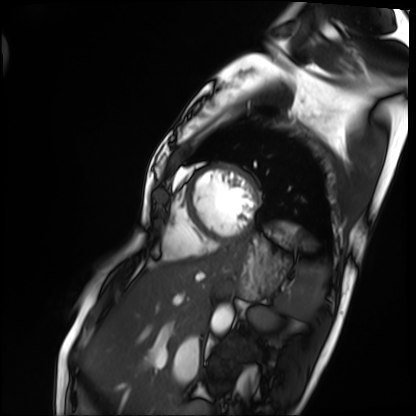
Summary:
Cardiac MRI. Subject group: patient.